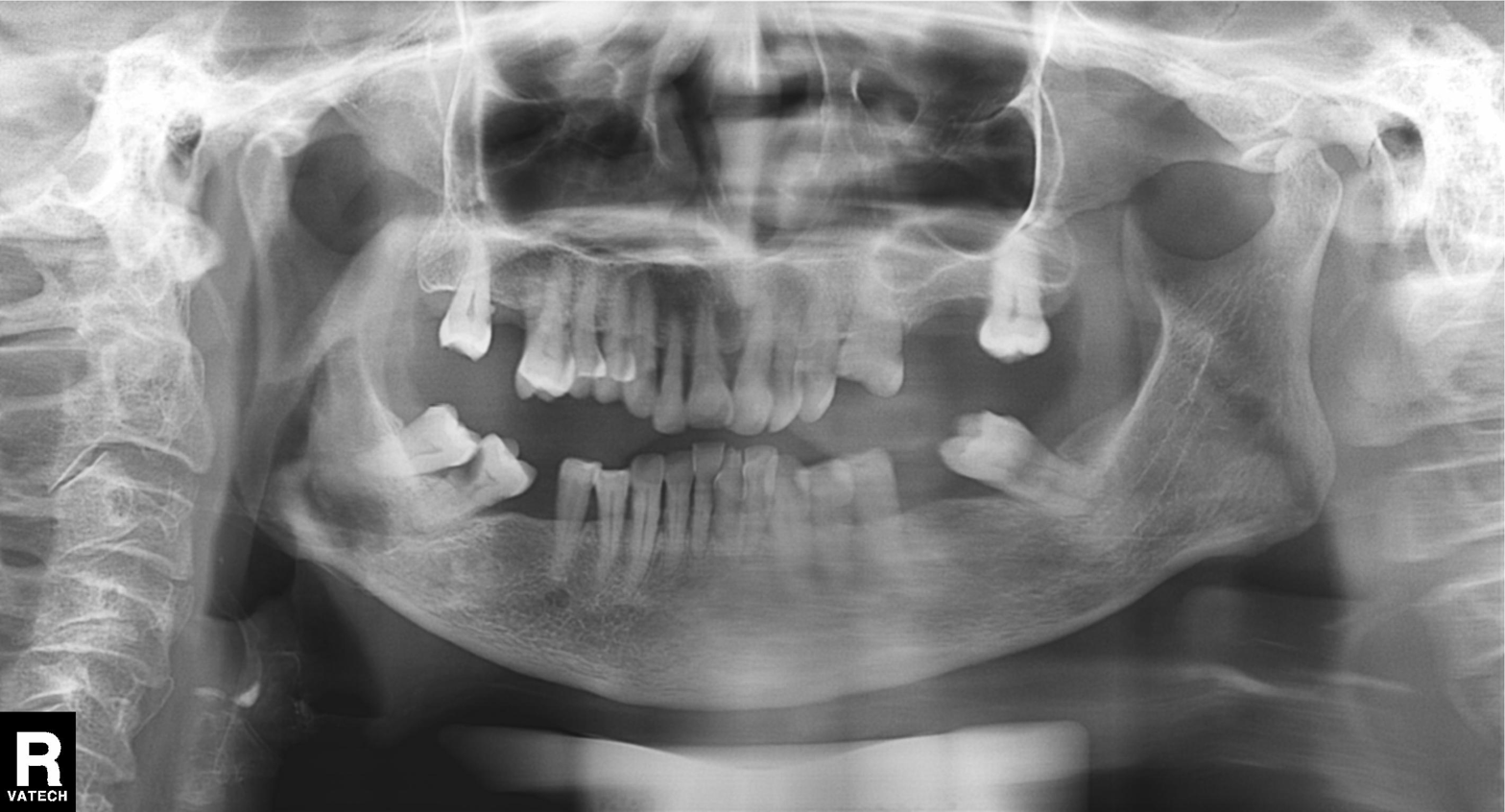
modality: panoramic dental radiograph (orthopantomogram)
finding: tooth impaction